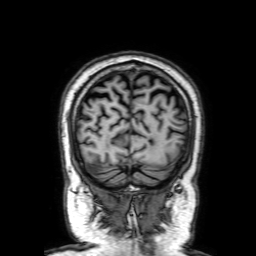
modality = 3 Tesla brain MRI; study = ring-enhancing brain masses.